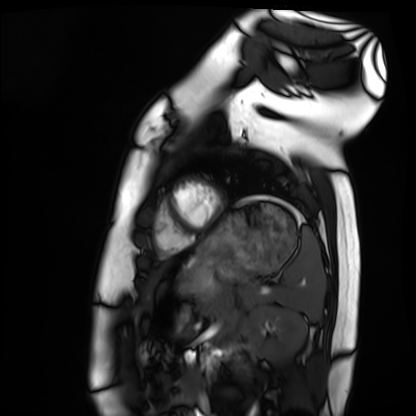
Cardiac MRI. Subject group: healthy volunteer.